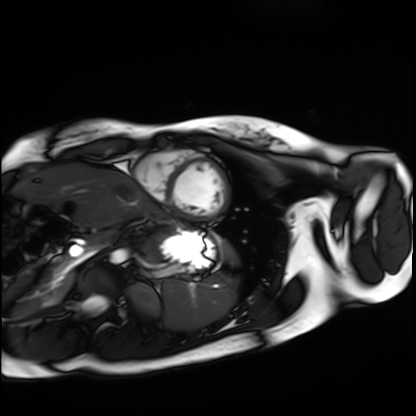
Cardiac MRI. Subject group: healthy volunteer.